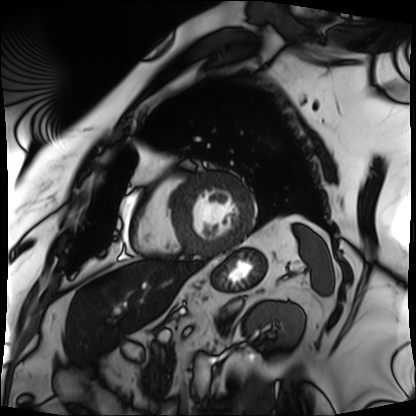
Cardiac MRI.
Subject group: patient.